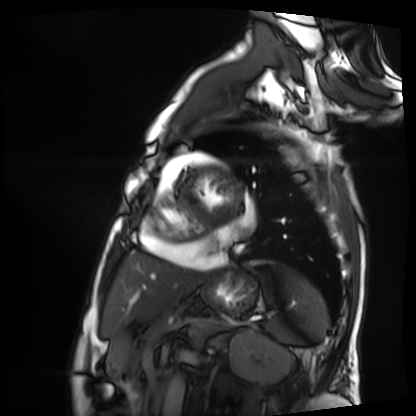
Clinical context: Cardiac MRI. Subject group: patient.